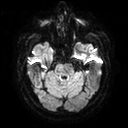
3 Tesla brain MRI. Series: diffusion tensor imaging (medium iso). Study: ring-enhancing brain masses.